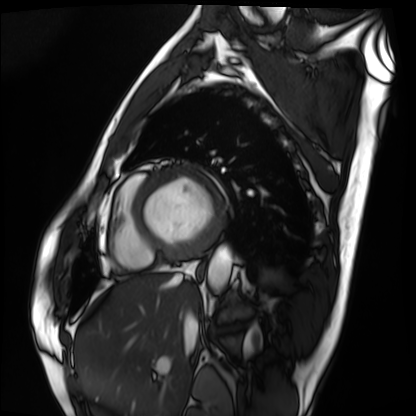
<study>
<modality>cardiac MRI</modality>
<cohort>patient</cohort>
</study>